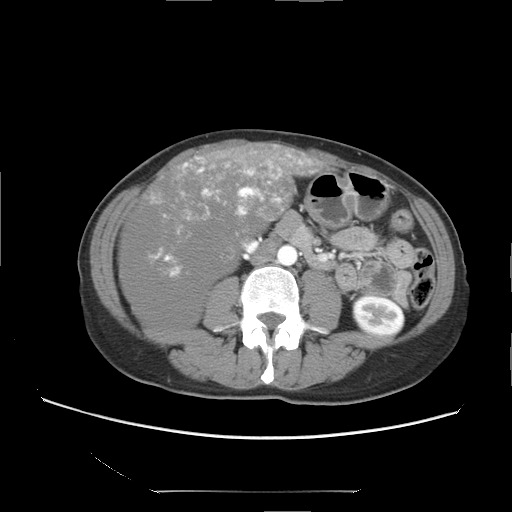
Multiphase abdominal CT, liver, arterial phase. Patient: female, age 47.